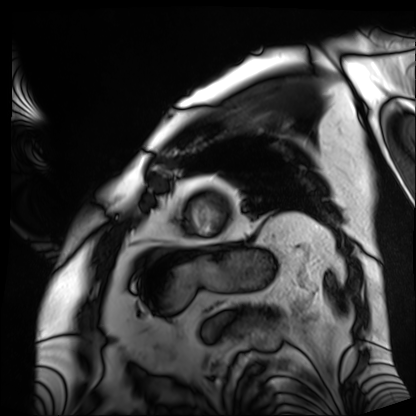
- modality: cardiac MRI
- subject group: patient